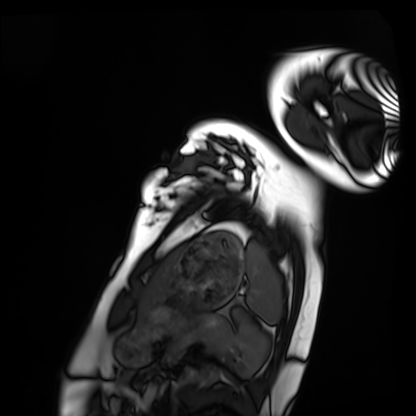
<case>
  <modality>cardiac MRI</modality>
  <cohort>healthy volunteer</cohort>
</case>